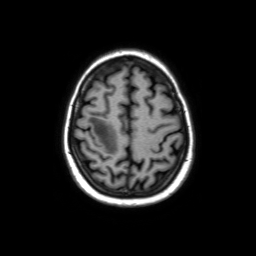
Summary: 3 Tesla brain MRI. Series: axial without contrast. Study: ring-enhancing brain masses.